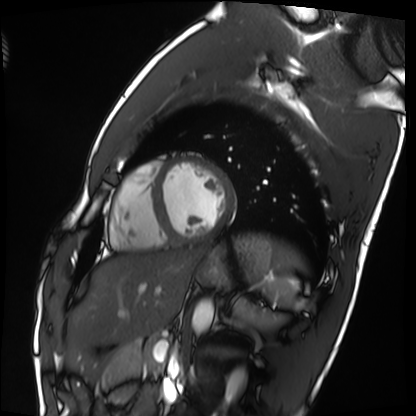
Case:
* modality · cardiac MRI
* subject group · healthy volunteer